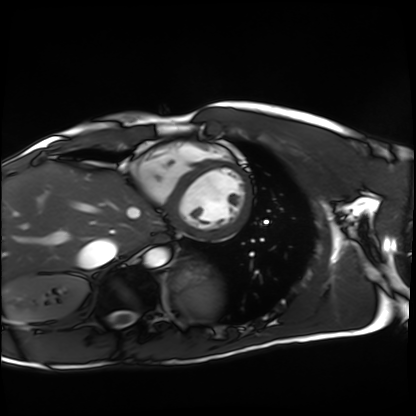
| field | value |
|---|---|
| modality | cardiac MRI |
| subject group | healthy volunteer |